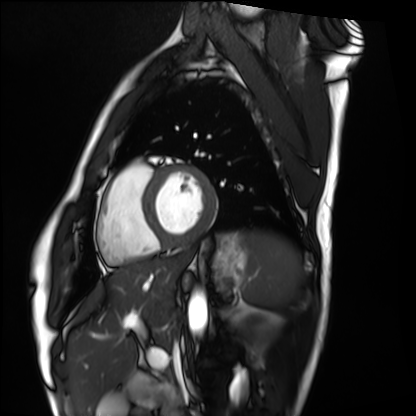
Cardiac MRI. Subject group: healthy volunteer.